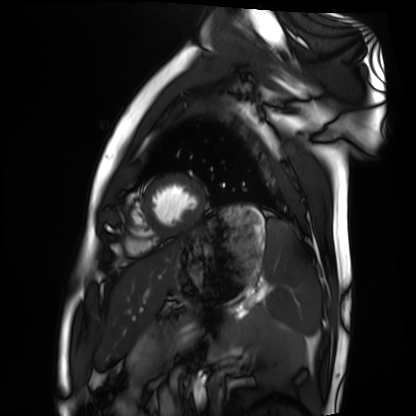
Cardiac MRI.
Subject group: healthy volunteer.